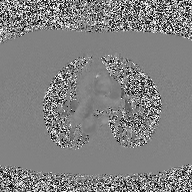
• modality — 2D phase-contrast cine MRI of the ascending aorta